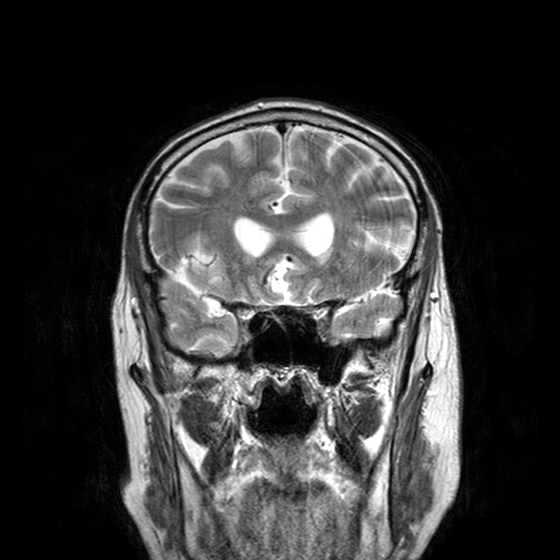
- modality — 3 Tesla brain MRI
- series — T2-weighted turbo spin echo with CLEAR
- study — ring-enhancing brain masses